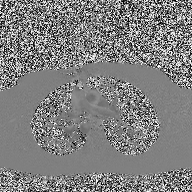
Case:
* modality: 2D phase-contrast cine MRI of the ascending aorta